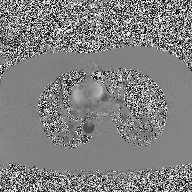
Q: What kind of scan is this?
A: 2D phase-contrast cine MRI of the ascending aorta.